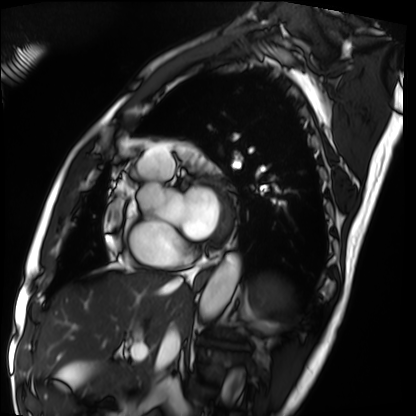
modality: cardiac MRI | subject group: patient.